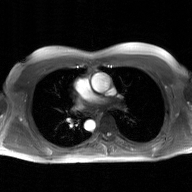
Summary:
2D phase-contrast cine MRI of the ascending aorta, GAN super-resolution reconstruction.